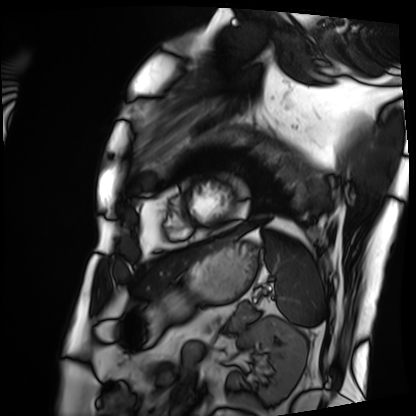
Clinical context: Cardiac MRI. Subject group: patient.